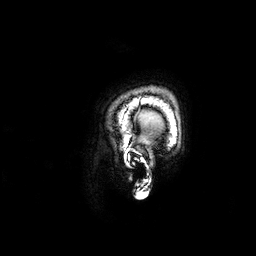
Case summary:
3 Tesla brain MRI. Series: 3D T1-weighted. Study: ring-enhancing brain masses.